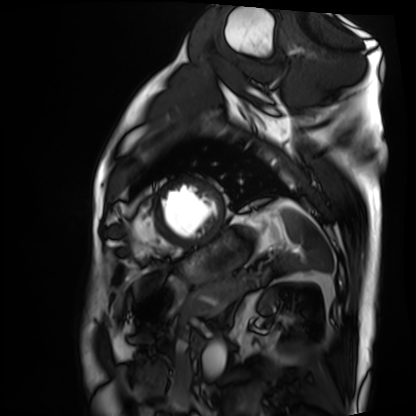
Clinical context: Cardiac MRI. Subject group: patient.